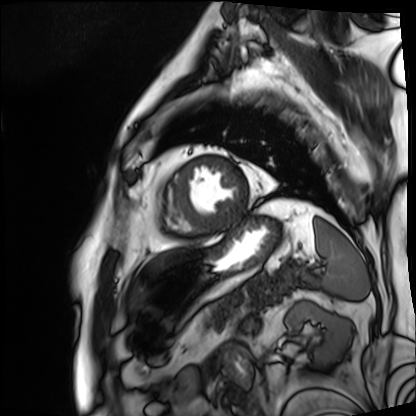
Case summary: Cardiac MRI. Subject group: patient.